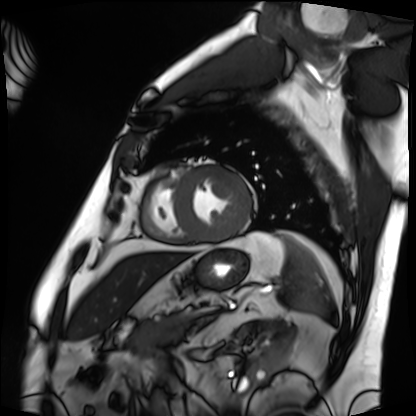
<case>
<modality>cardiac MRI</modality>
<cohort>patient</cohort>
</case>